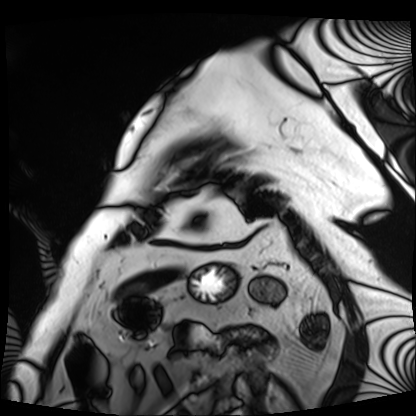
| field | value |
|---|---|
| modality | cardiac MRI |
| subject group | patient |